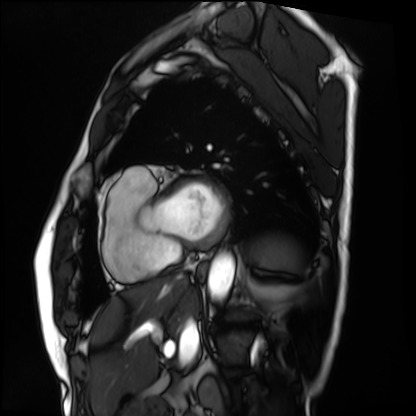
  modality: cardiac MRI
  cohort: patient